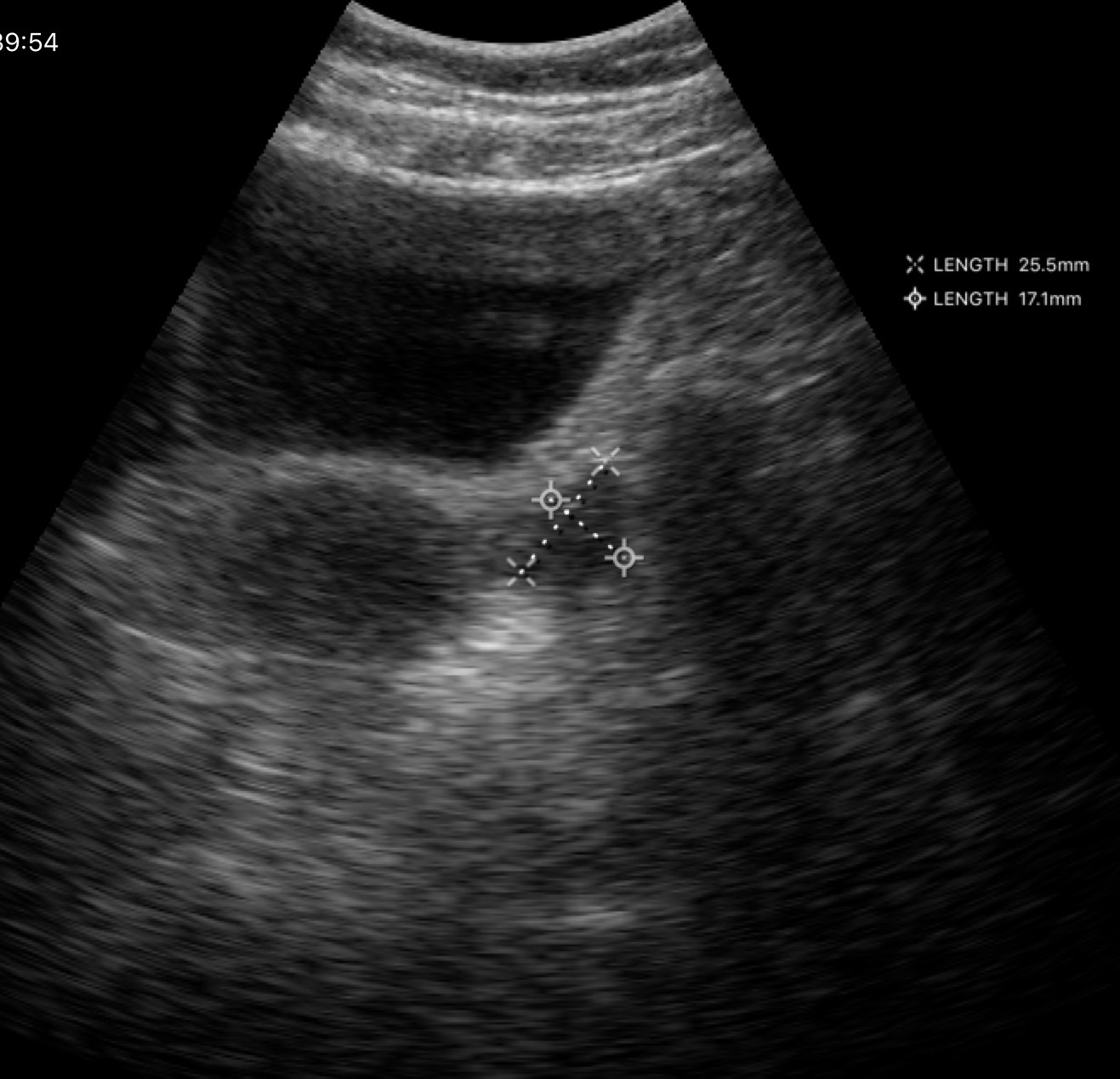
Genitourinary ultrasound.